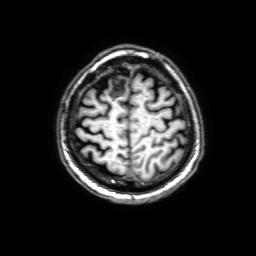
3 Tesla brain MRI. Series: 3D T1-weighted with SENSE. Study: ring-enhancing brain masses.